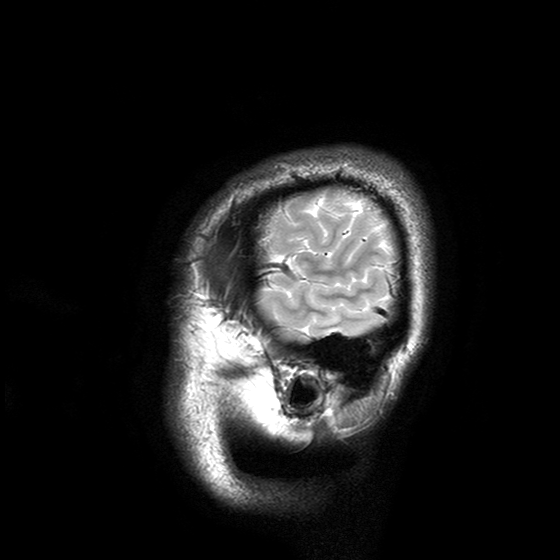
modality: 3 Tesla brain MRI
study: ring-enhancing brain masses